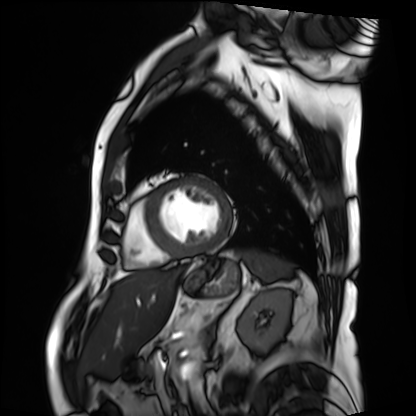
Cardiac MRI.
Subject group: patient.